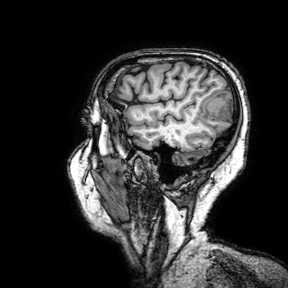
modality:
  type: brain MRI
  field_strength: 3T
series: 3D T1-weighted turbo field echo with SENSE
study_topic: ring-enhancing brain masses